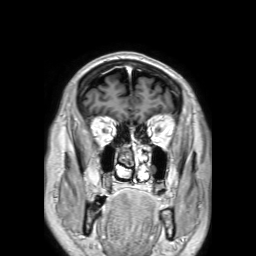
{
  "modality": {
    "type": "brain MRI",
    "field_strength": "3T"
  },
  "series": "3D T1-weighted TFE with SENSE",
  "study_topic": "ring-enhancing brain masses"
}